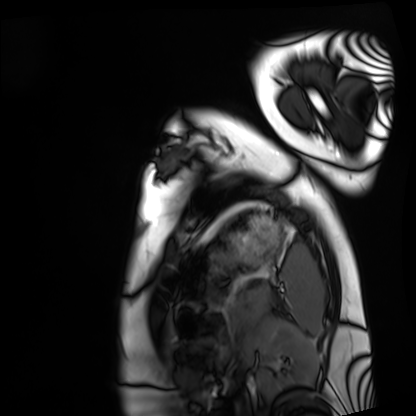
  modality: cardiac MRI
  cohort: healthy volunteer